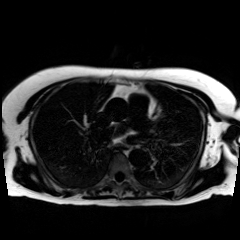
  modality: chemical-shift-encoded cardiac MRI